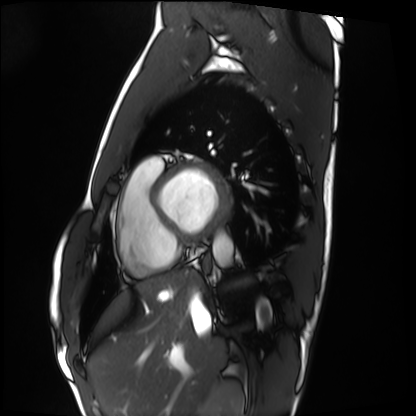
Cardiac MRI. Subject group: healthy volunteer.